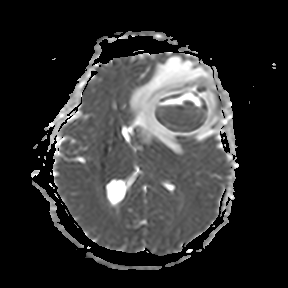
{"modality": {"type": "brain MRI", "field_strength": "3T"}, "series": "apparent diffusion coefficient (ADC) map", "study_topic": "ring-enhancing brain masses"}